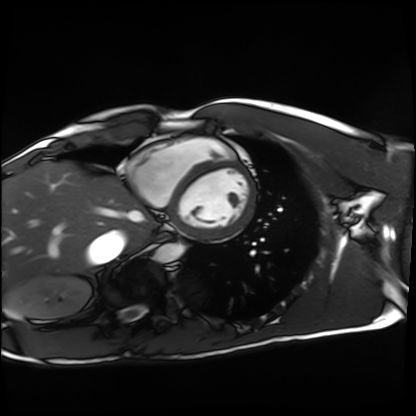
• modality · cardiac MRI
• subject group · healthy volunteer